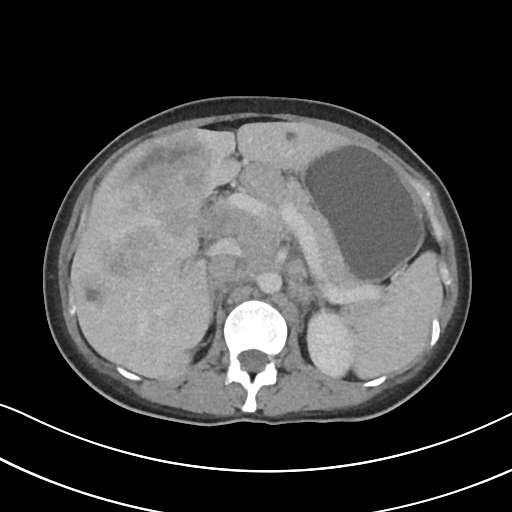
Summary:
Multiphase abdominal CT, liver, portal venous phase. Patient: female, age 32. History: viral hepatitis, prior chemotherapy.